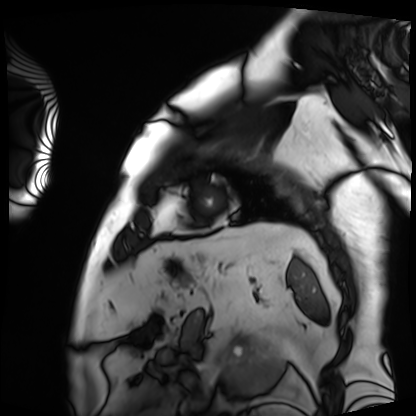
Cardiac MRI.
Subject group: patient.